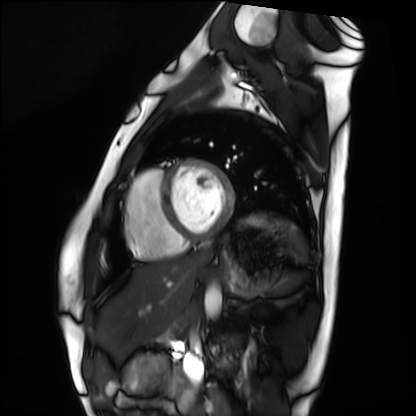
Cardiac MRI.
Subject group: healthy volunteer.